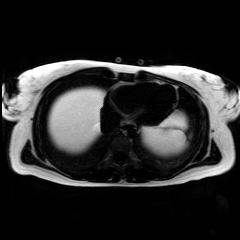
– modality: chemical-shift-encoded cardiac MRI